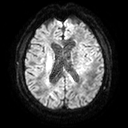
modality: 3 Tesla brain MRI
series: diffusion tensor imaging (medium iso)
study: ring-enhancing brain masses